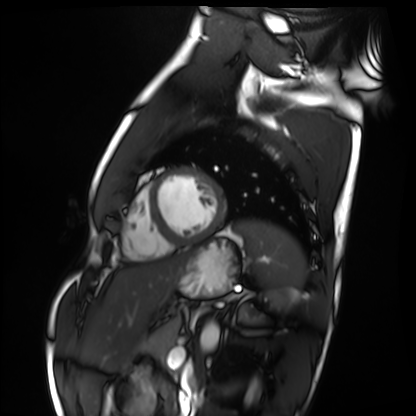
Cardiac MRI. Subject group: healthy volunteer.